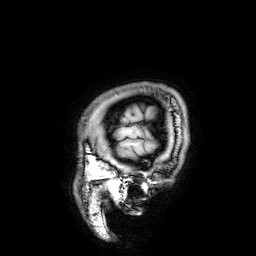
– modality · 3 Tesla brain MRI
– series · 3D T1-weighted
– study · ring-enhancing brain masses